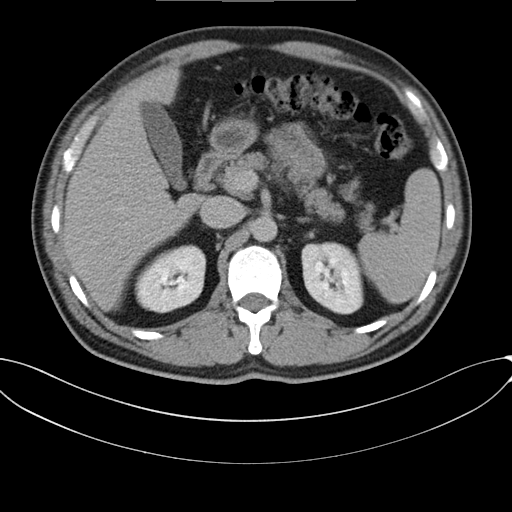
• modality: multiphase abdominal CT, liver, delayed phase
• patient: male, age 46